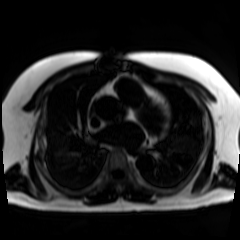
Chemical-shift-encoded cardiac MRI.